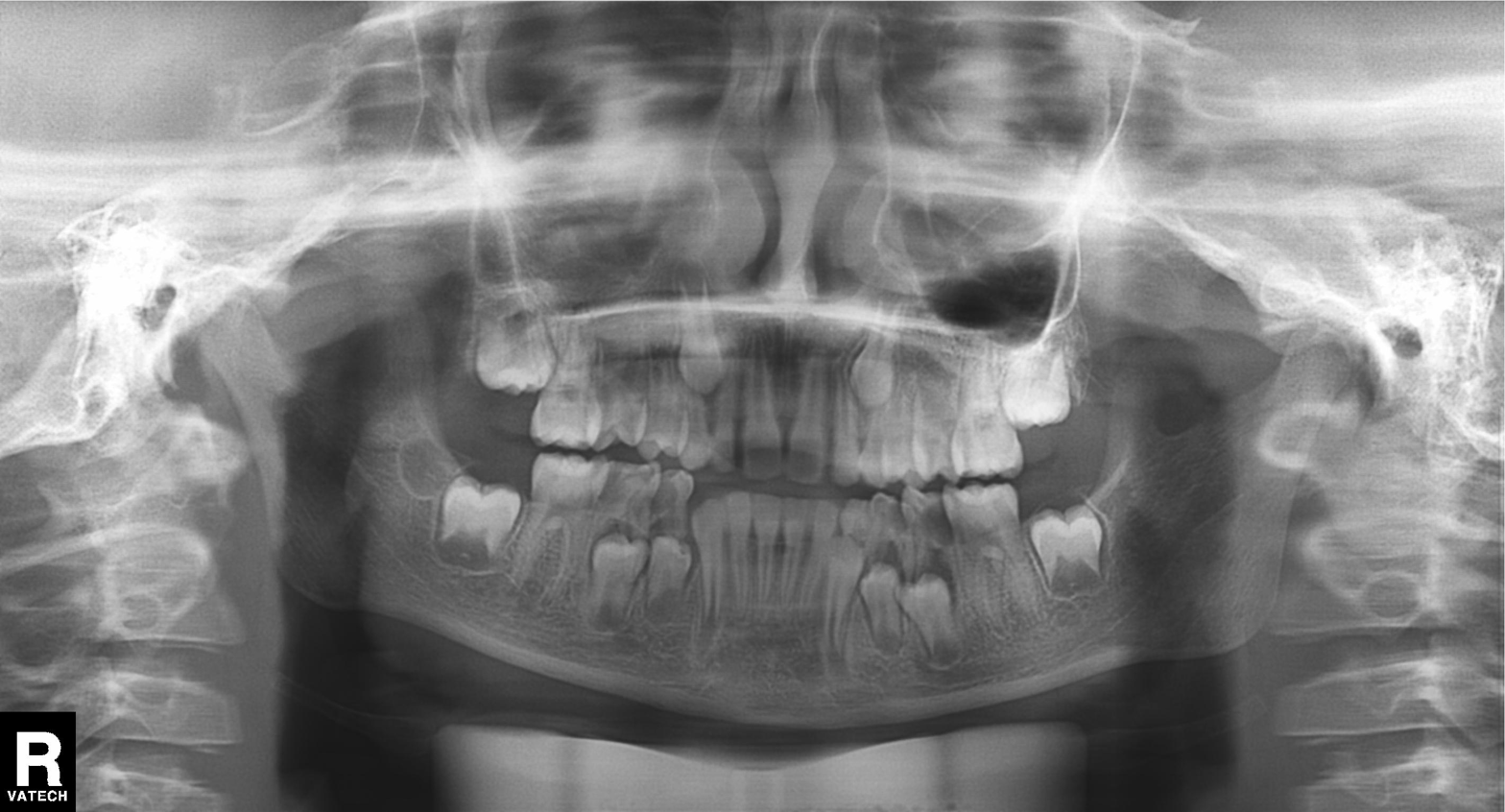
Panoramic dental radiograph (orthopantomogram). Finding: tooth impaction.